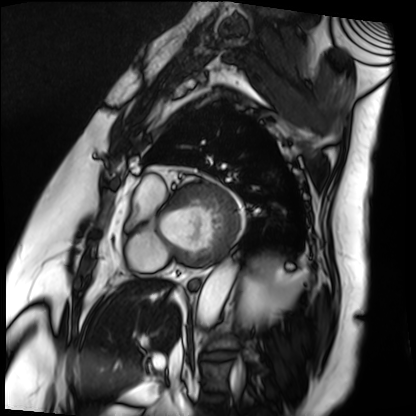
- modality · cardiac MRI
- subject group · patient